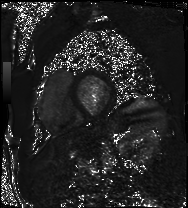
<scan>
  <modality>cardiac MRI</modality>
  <cohort>patient</cohort>
</scan>